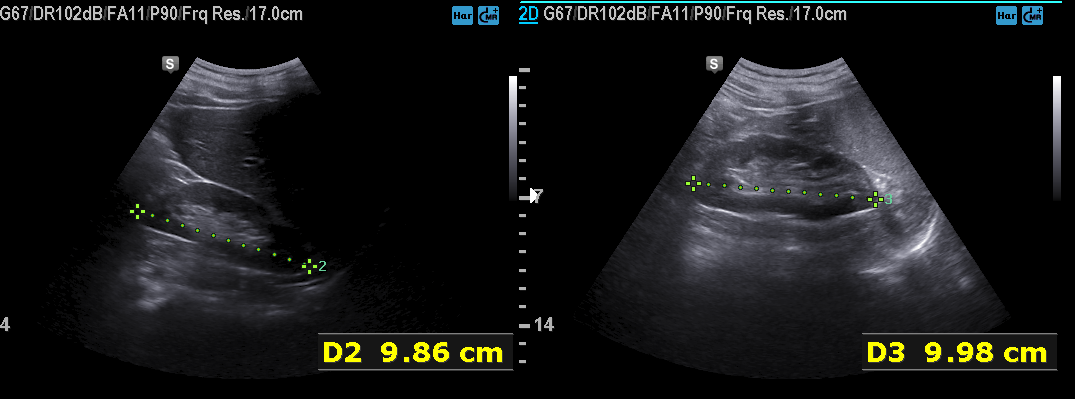
Summary: Genitourinary ultrasound.